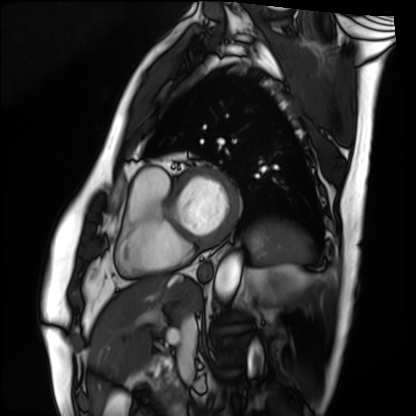
Case:
• modality: cardiac MRI
• subject group: patient